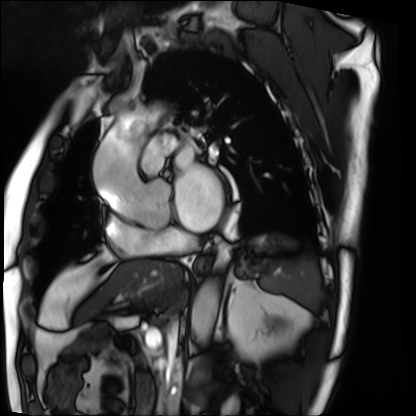
modality=cardiac MRI
subject group=patient